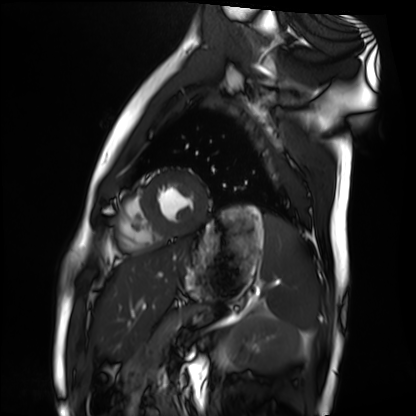
• modality · cardiac MRI
• subject group · healthy volunteer